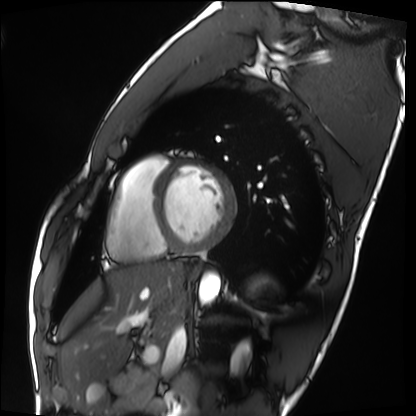
• modality: cardiac MRI
• subject group: healthy volunteer